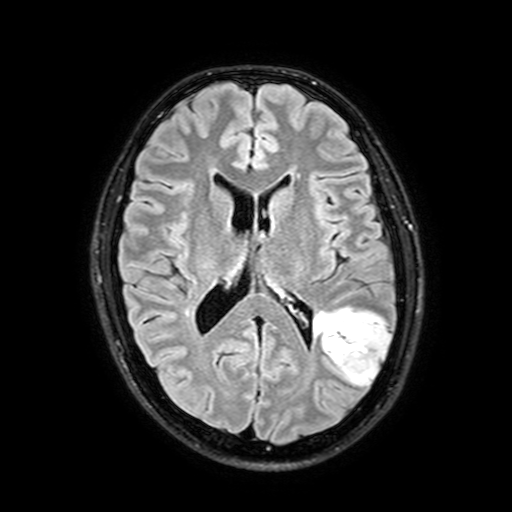
• modality · 3 Tesla brain MRI
• series · FLAIR with SPAIR, 3 mm
• study · ring-enhancing brain masses